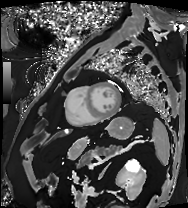
modality: cardiac MRI
subject group: patient